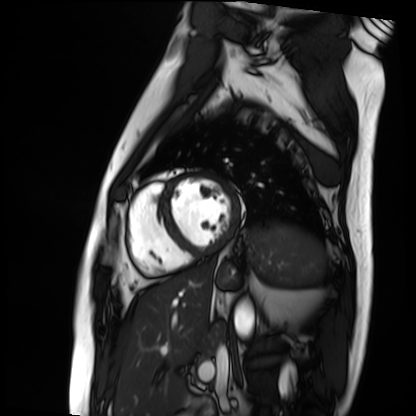
Case summary: Cardiac MRI. Subject group: patient.